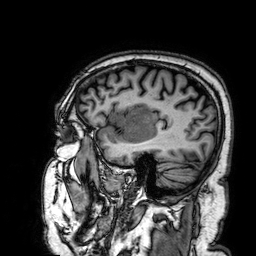
modality: 3 Tesla brain MRI | series: 3D T1-weighted | study: ring-enhancing brain masses.